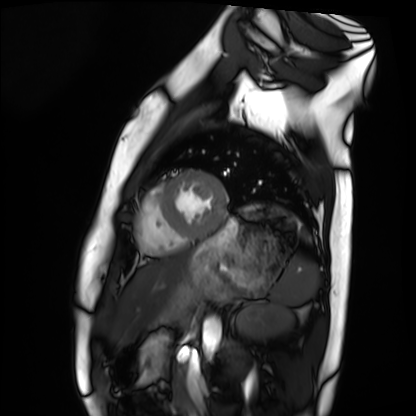
Q: What kind of scan is this?
A: Cardiac MRI.
Subject group: healthy volunteer.